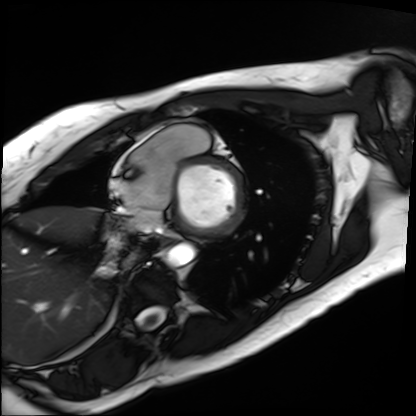
modality = cardiac MRI, subject group = patient.